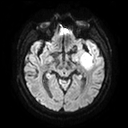
Summary: 3 Tesla brain MRI. Series: diffusion tensor imaging (medium iso). Study: ring-enhancing brain masses.